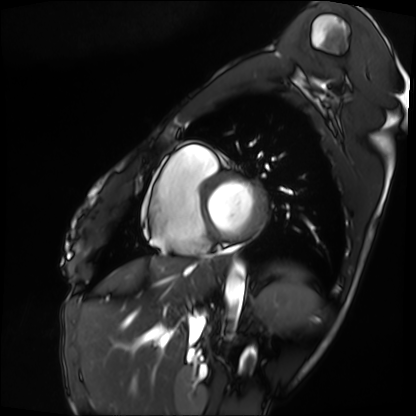
<scan>
<modality>cardiac MRI</modality>
<cohort>patient</cohort>
</scan>